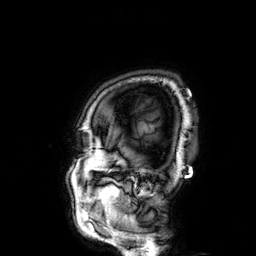
modality = 3 Tesla brain MRI; series = 3D T1-weighted; study = ring-enhancing brain masses.